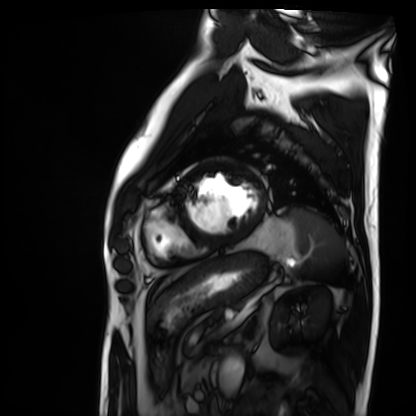
Case summary:
Cardiac MRI. Subject group: patient.